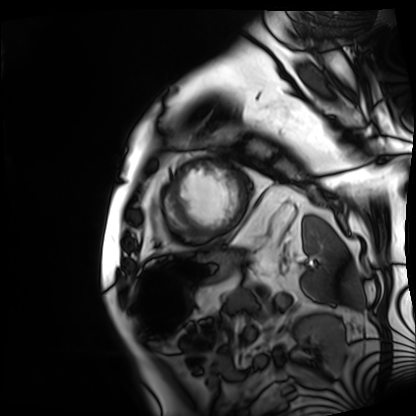
Case summary:
Cardiac MRI. Subject group: patient.